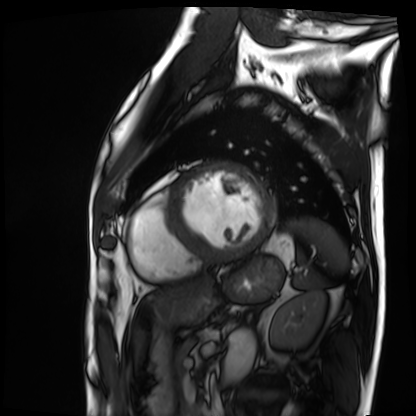
modality: cardiac MRI; subject group: patient.